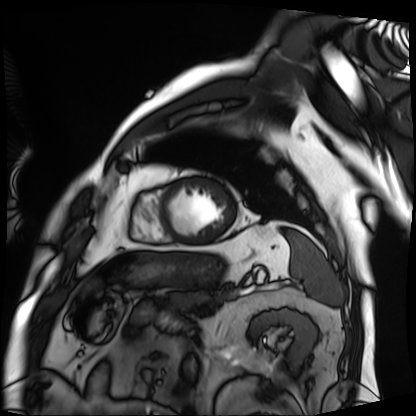
Summary: Cardiac MRI. Subject group: patient.